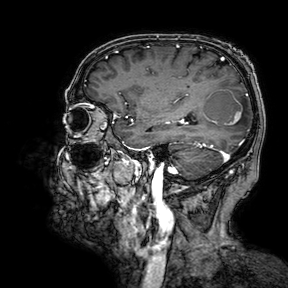
Case summary: 3 Tesla brain MRI. Study: ring-enhancing brain masses.